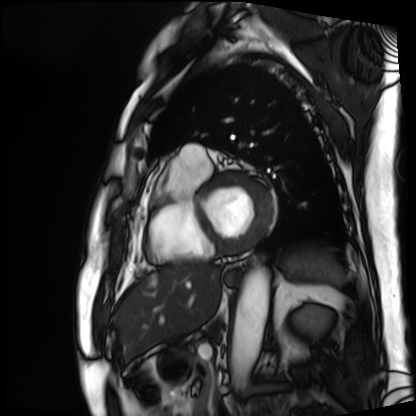
Case summary:
Cardiac MRI. Subject group: patient.